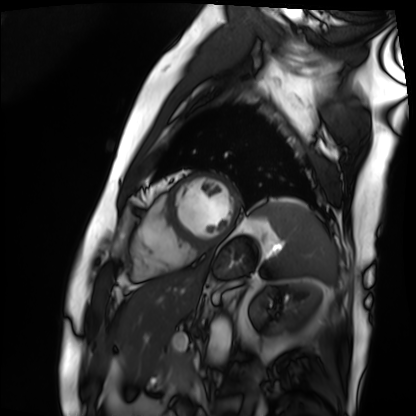
Clinical context: Cardiac MRI. Subject group: patient.